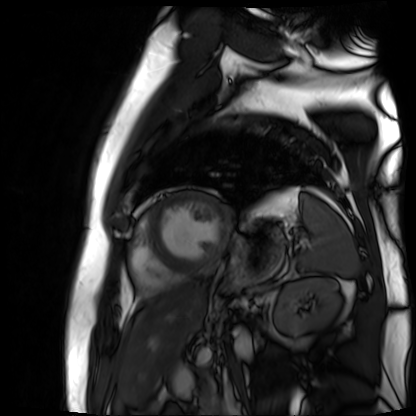
Clinical context:
Cardiac MR image of the myocardium. Subject cohort: cardiac patient.